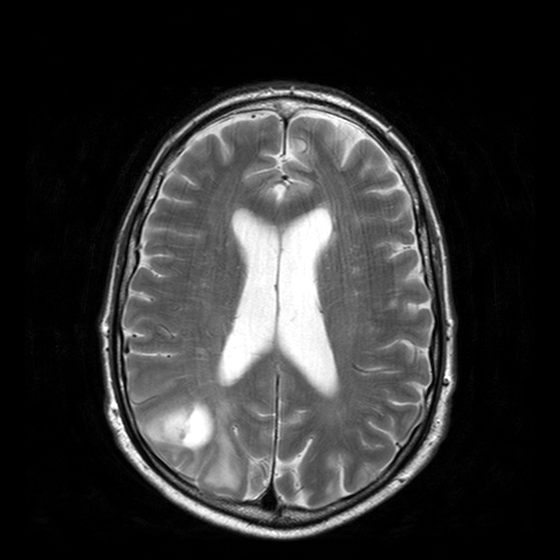
Clinical context:
3 Tesla brain MRI. Series: T2-weighted turbo spin echo with CLEAR. Study: ring-enhancing brain masses.